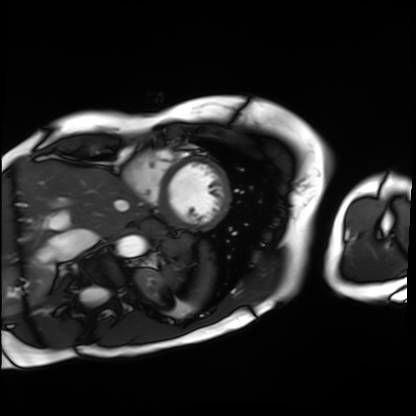
Cardiac MRI.
Subject group: patient.